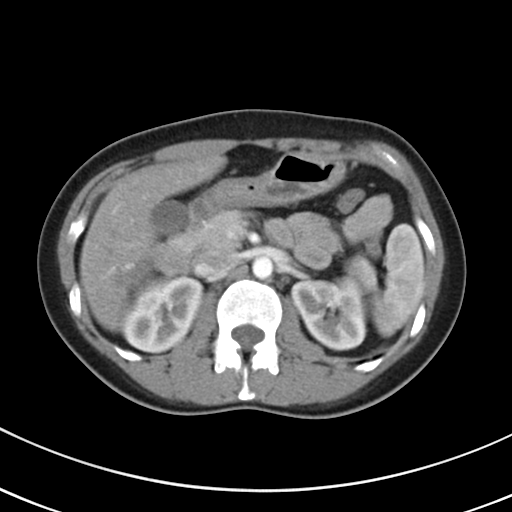
| field | value |
|---|---|
| modality | multiphase abdominal CT, liver, arterial phase |